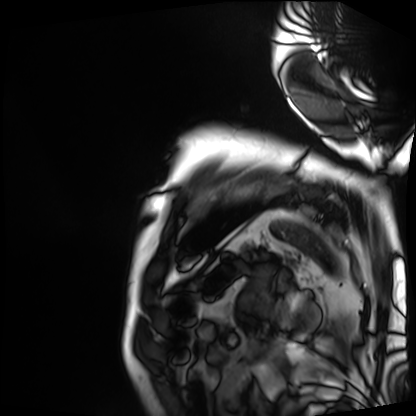
Case:
* modality · cardiac MRI
* subject group · patient